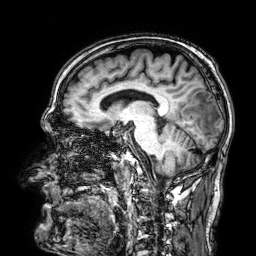
<case>
  <modality>
    <type>brain MRI</type>
    <field_strength>3T</field_strength>
  </modality>
  <series>3D T1-weighted</series>
  <study_topic>ring-enhancing brain masses</study_topic>
</case>